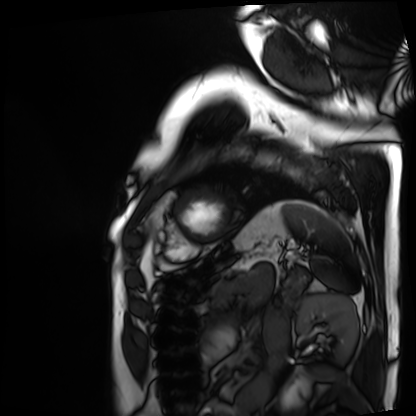
Cardiac MRI.
Subject group: patient.